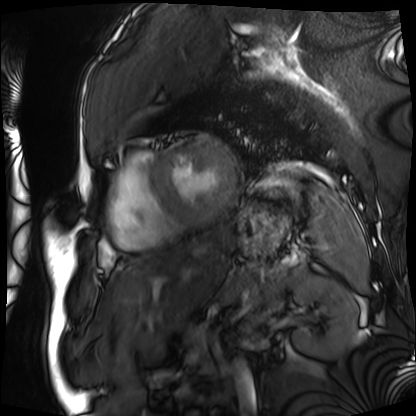
modality — cardiac MRI | subject group — patient.